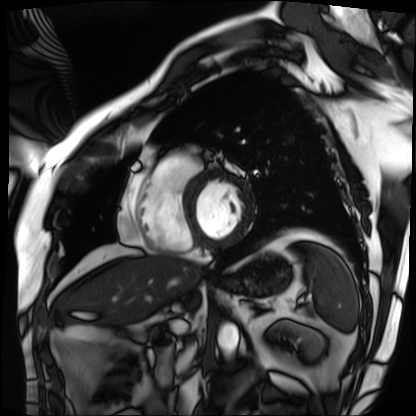
Summary: Cardiac MRI. Subject group: patient.